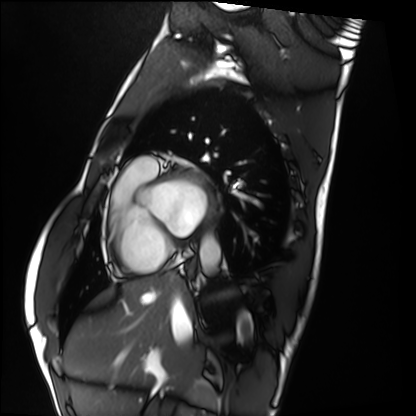
Case:
* modality · cardiac MRI
* subject group · healthy volunteer